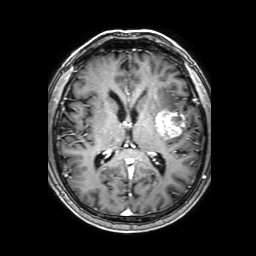
modality: 3 Tesla brain MRI
series: 3D T1-weighted with SENSE
study: ring-enhancing brain masses